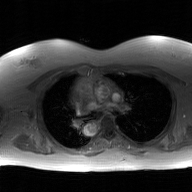
Case summary:
2D phase-contrast cine MRI of the ascending aorta, GAN super-resolution reconstruction.